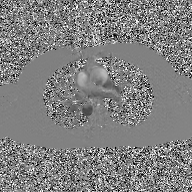
2D phase-contrast cine MRI of the ascending aorta, GAN super-resolution reconstruction.